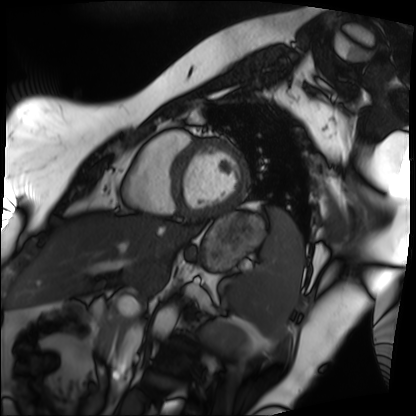
Cardiac MRI.
Subject group: patient.